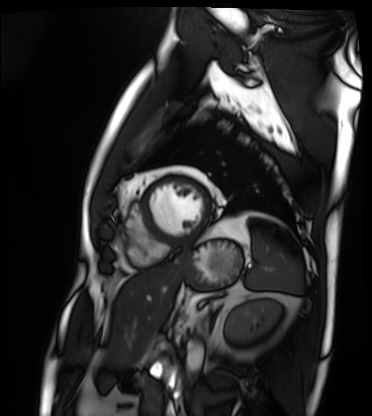
Cardiac MRI. Subject group: patient.